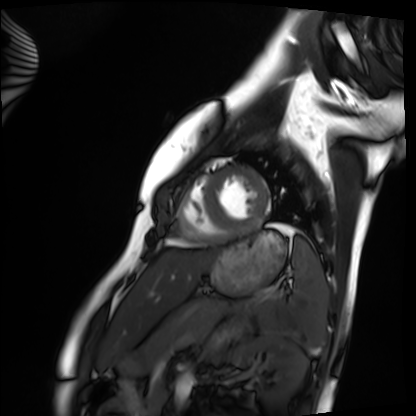
– modality · cardiac MRI
– subject group · healthy volunteer